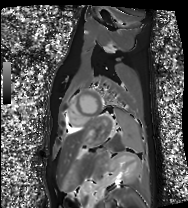
Q: What kind of scan is this?
A: Cardiac MRI.
Subject group: healthy volunteer.